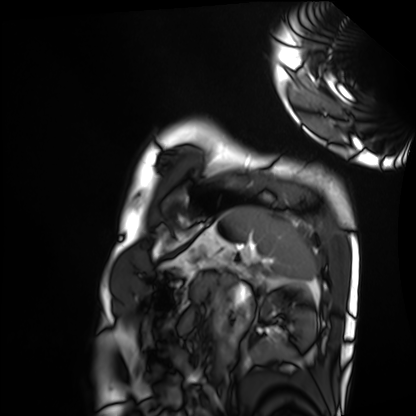
Cardiac MRI. Subject group: healthy volunteer.